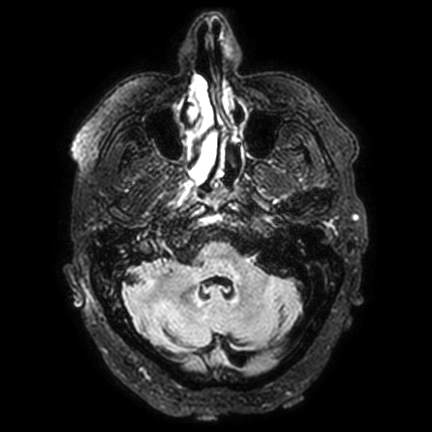
Clinical context: 3 Tesla brain MRI. Study: ring-enhancing brain masses.